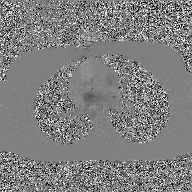
Summary: 2D phase-contrast cine MRI of the ascending aorta, GAN super-resolution reconstruction.